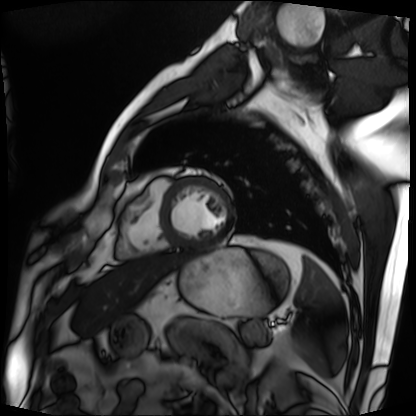
modality: cardiac MRI | subject group: patient.